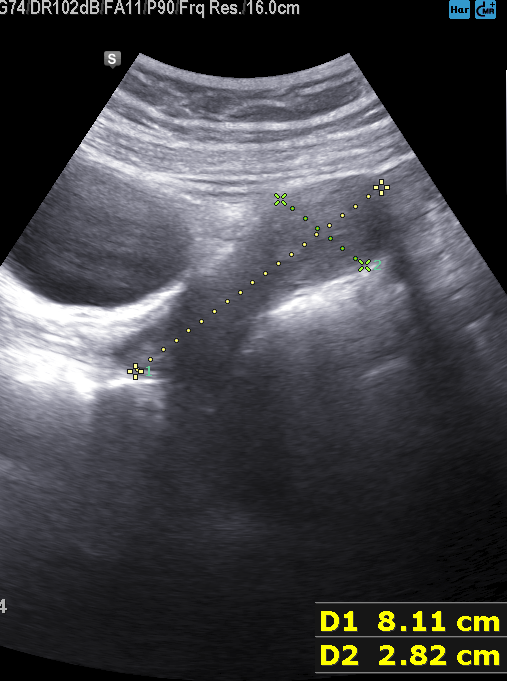
Summary:
Genitourinary ultrasound.